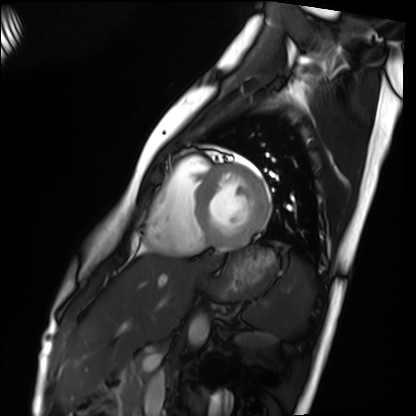
Cardiac MRI. Subject group: healthy volunteer.